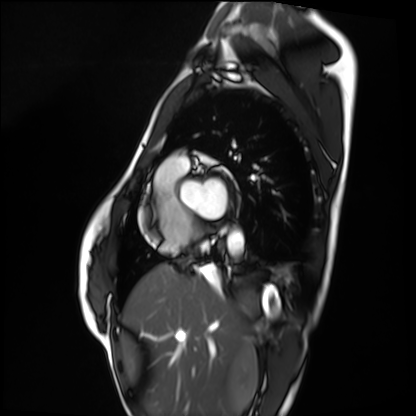
Cardiac MRI.
Subject group: healthy volunteer.